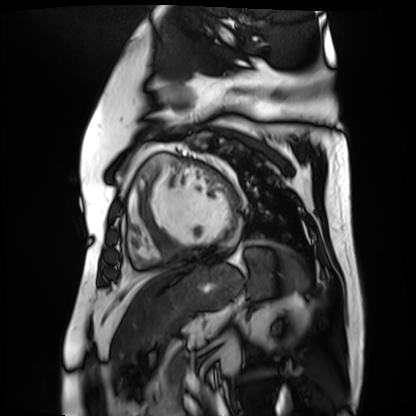
Case summary: Cardiac MR image of the myocardium. Subject cohort: cardiac patient.